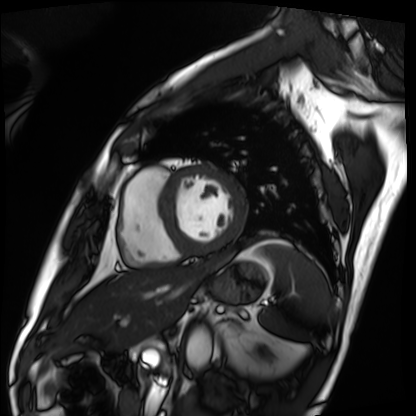
| field | value |
|---|---|
| modality | cardiac MRI |
| subject group | patient |